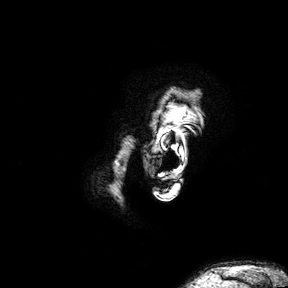
modality = 3 Tesla brain MRI | series = 3D T1-weighted turbo field echo with SENSE | study = ring-enhancing brain masses.